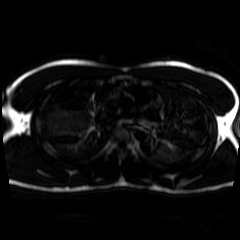
Clinical context:
Chemical-shift-encoded cardiac MRI.